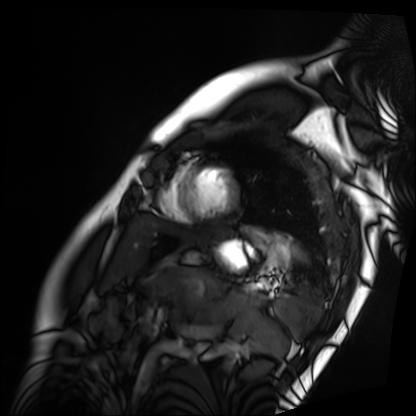
* modality — cardiac MRI
* subject group — patient